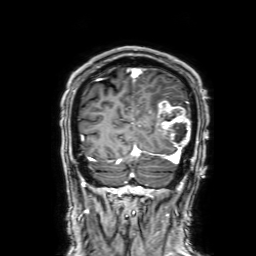
{"modality": {"type": "brain MRI", "field_strength": "3T"}, "study_topic": "ring-enhancing brain masses"}